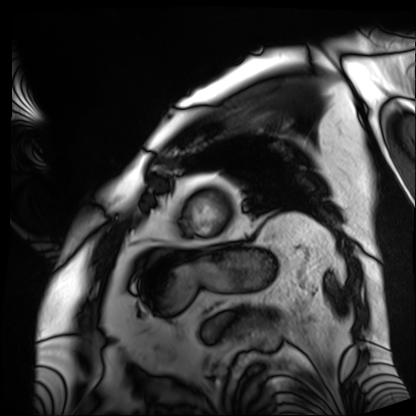
{
  "modality": "cardiac MRI",
  "cohort": "patient"
}